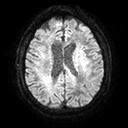
3 Tesla brain MRI.
Series: diffusion tensor imaging (medium iso).
Study: ring-enhancing brain masses.